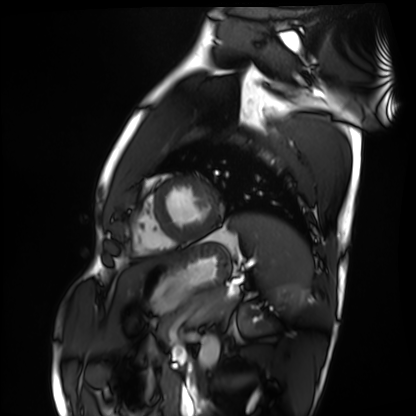
Cardiac MRI. Subject group: healthy volunteer.